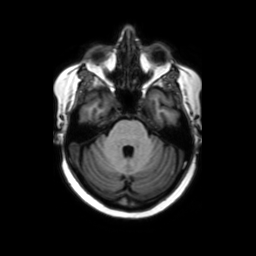
3 Tesla brain MRI. Series: axial without contrast. Study: ring-enhancing brain masses.